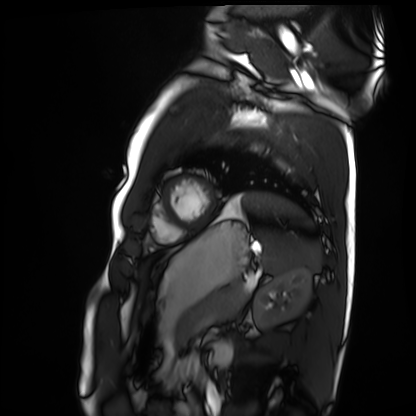
Cardiac MRI.
Subject group: healthy volunteer.